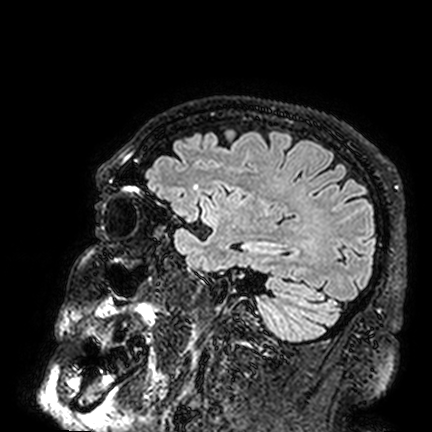
Q: What kind of scan is this?
A: 3 Tesla brain MRI.
Q: Series?
A: FLAIR VISTA.
Study: ring-enhancing brain masses.